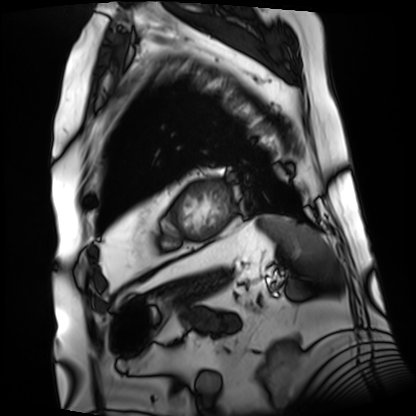
Cardiac MRI. Subject group: patient.